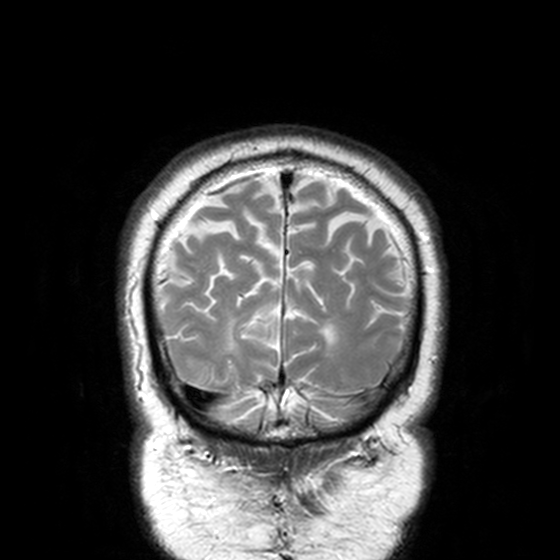
| field | value |
|---|---|
| modality | 3 Tesla brain MRI |
| series | T2-weighted turbo spin echo, 3 mm |
| study | ring-enhancing brain masses |